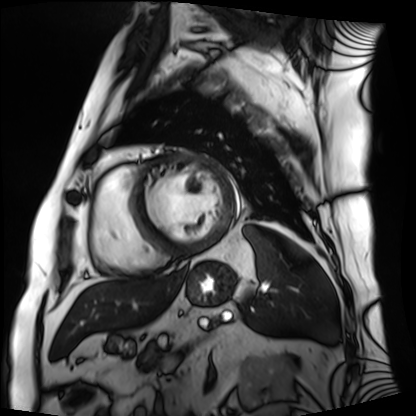
Cardiac MRI. Subject group: patient.